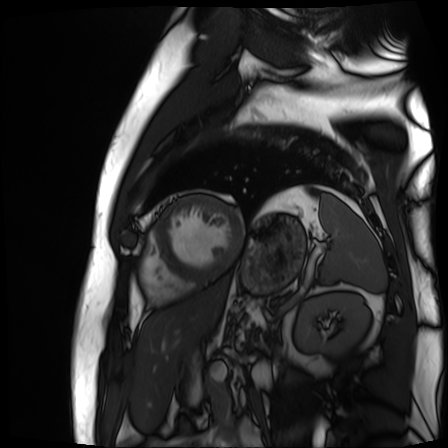
Case summary:
Cardiac MR image of the myocardium. Subject cohort: cardiac patient.